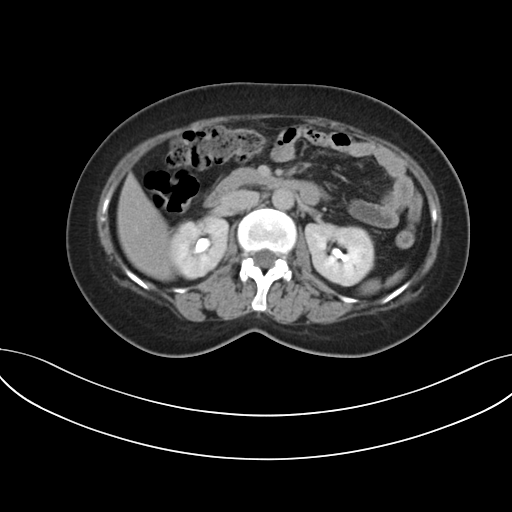
Multiphase abdominal CT, liver, delayed phase.
Patient: female, age 41.